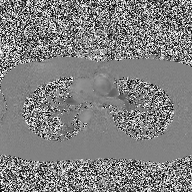
Case summary: 2D phase-contrast cine MRI of the ascending aorta, high-resolution GRAPPA acquisition.